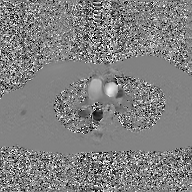
Case summary: 2D phase-contrast cine MRI of the ascending aorta, GAN super-resolution reconstruction.